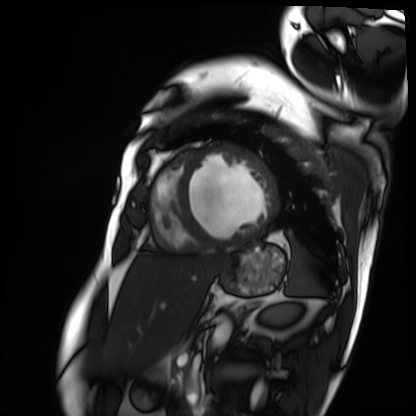
Case:
* modality — cardiac MRI
* subject group — patient